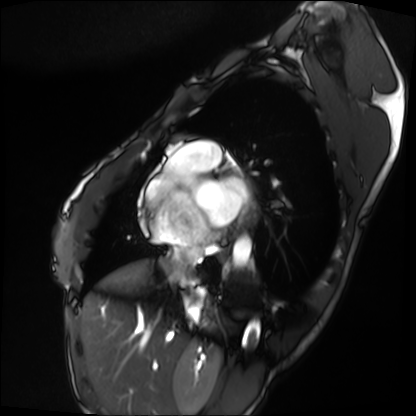
modality=cardiac MRI; subject group=patient.